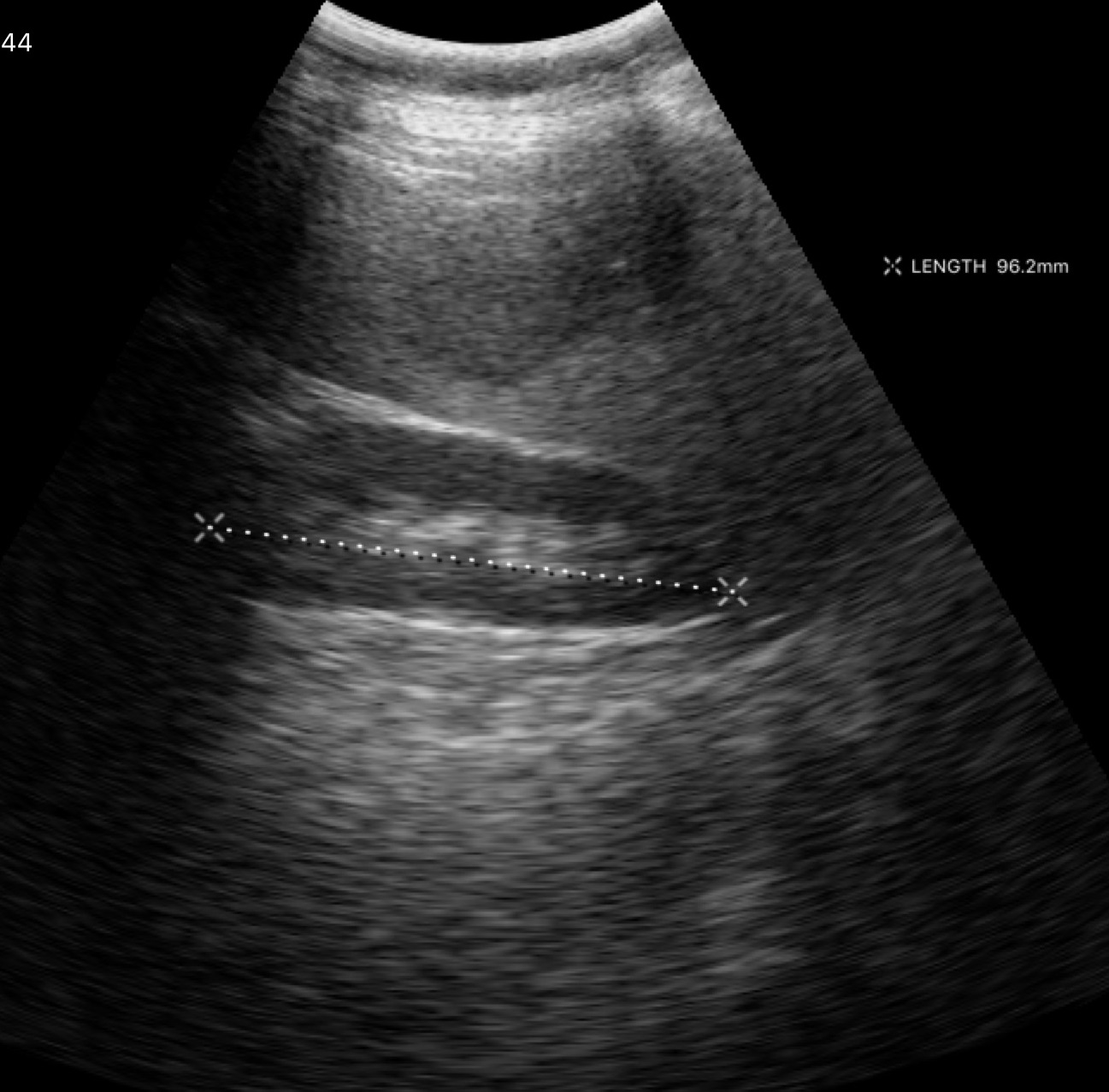
modality: genitourinary ultrasound.